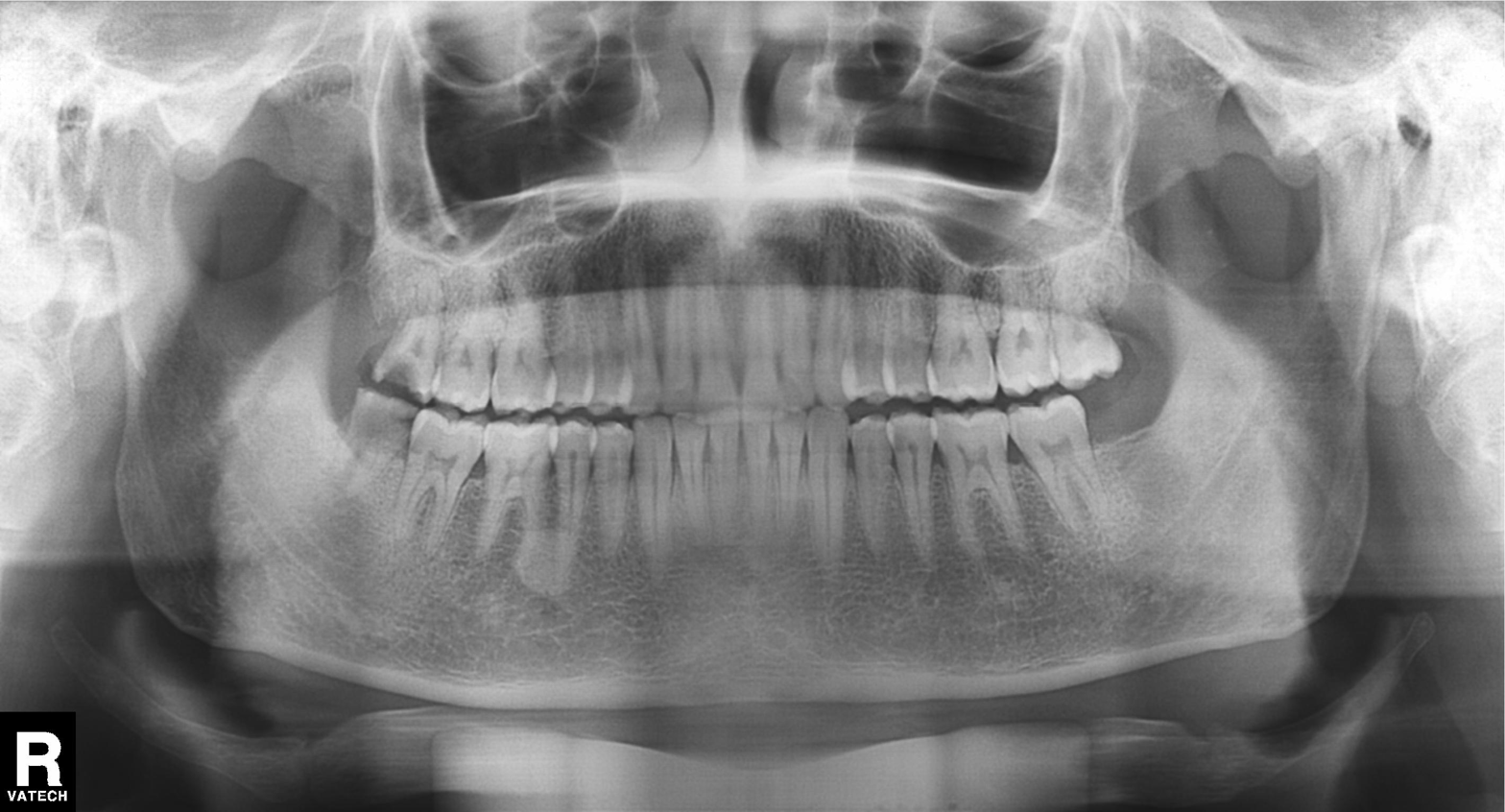
Panoramic dental radiograph (orthopantomogram). Finding: dental caries (cavities).